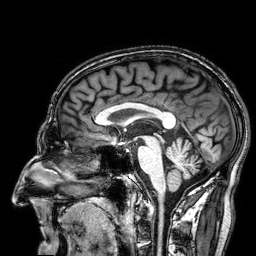
Case:
- modality — 3 Tesla brain MRI
- series — 3D T1-weighted
- study — ring-enhancing brain masses